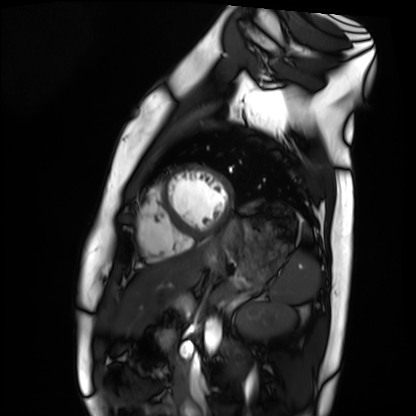
Case:
• modality — cardiac MRI
• subject group — healthy volunteer